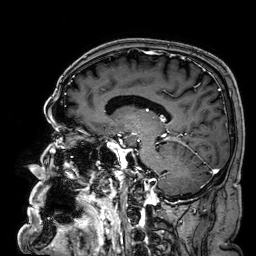
modality: 3 Tesla brain MRI
series: 3D T1-weighted
study: ring-enhancing brain masses